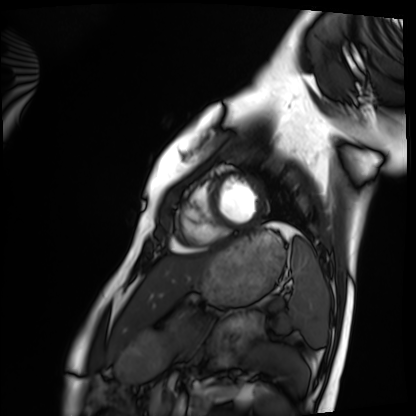
Cardiac MRI.
Subject group: healthy volunteer.